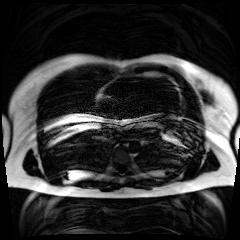
Chemical-shift-encoded cardiac MRI.